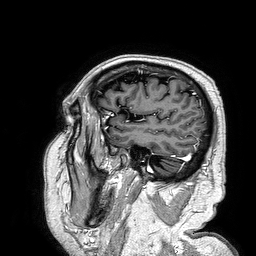
Q: What kind of scan is this?
A: 3 Tesla brain MRI.
Q: Series?
A: 3D T1-weighted turbo field echo.
Study: ring-enhancing brain masses.